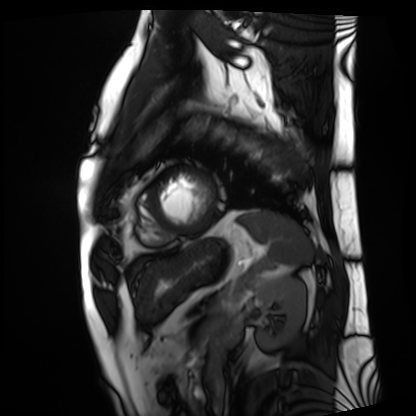
Cardiac MRI. Subject group: patient.